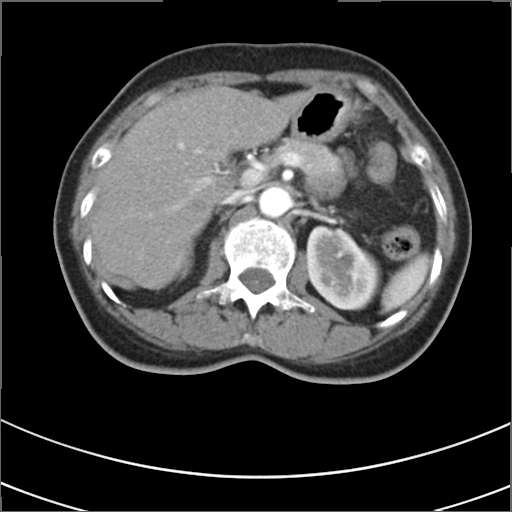
Summary: Multiphase abdominal CT, liver, arterial phase. Patient: female, age 53. History: prior chemotherapy.